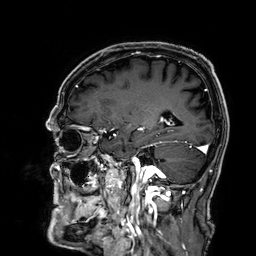
Clinical context: 3 Tesla brain MRI. Series: 3D T1-weighted. Study: ring-enhancing brain masses.